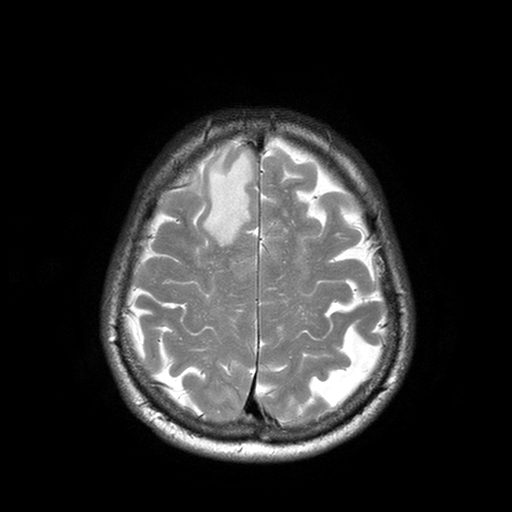
3 Tesla brain MRI. Series: T2-weighted turbo spin echo with SENSE. Study: ring-enhancing brain masses.